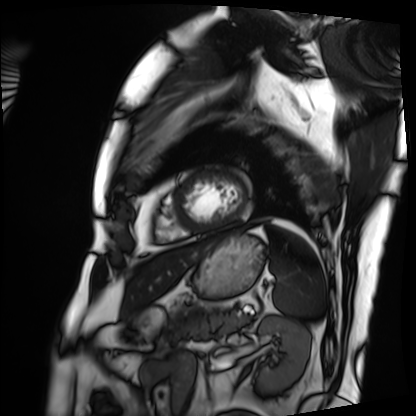
Cardiac MRI. Subject group: patient.